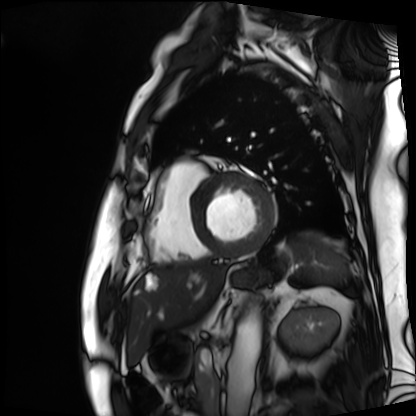
Q: What kind of scan is this?
A: Cardiac MRI.
Subject group: patient.